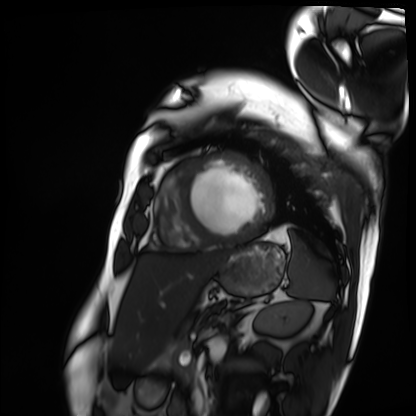
modality: cardiac MRI
subject group: patient